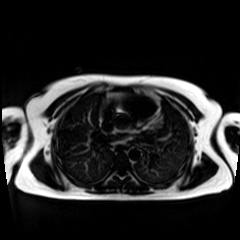
modality: chemical-shift-encoded cardiac MRI.